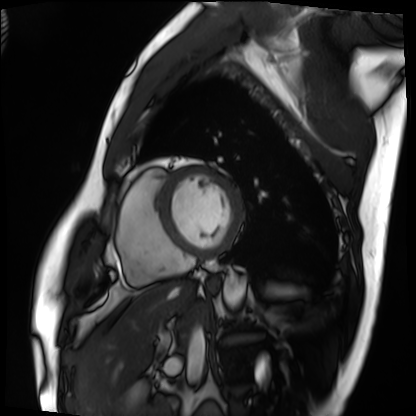
* modality · cardiac MRI
* subject group · patient